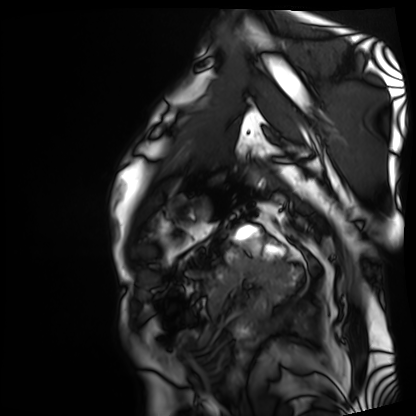
modality: cardiac MRI; subject group: patient.